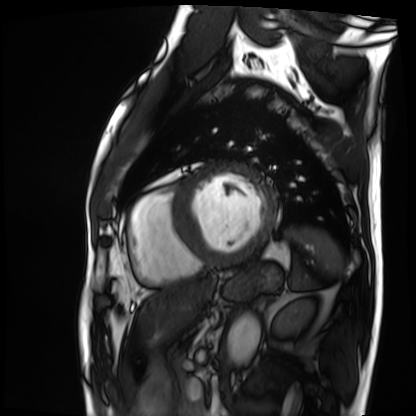
Clinical context: Cardiac MRI. Subject group: patient.